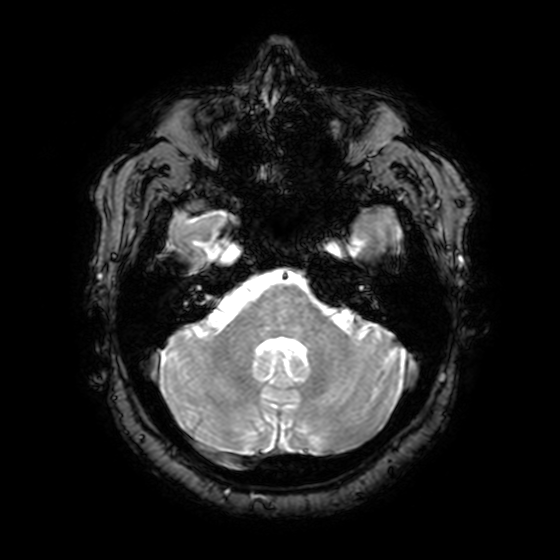
* modality — 3 Tesla brain MRI
* series — T2-weighted fast field echo with SENSE
* study — ring-enhancing brain masses